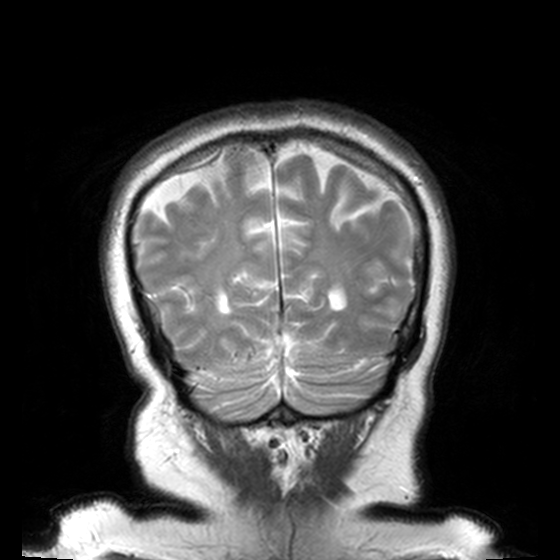
Clinical context:
3 Tesla brain MRI. Series: T2-weighted turbo spin echo, 3 mm. Study: ring-enhancing brain masses.